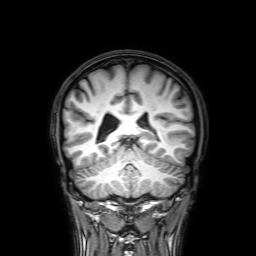
3 Tesla brain MRI.
Series: 3D T1-weighted with SENSE.
Study: ring-enhancing brain masses.